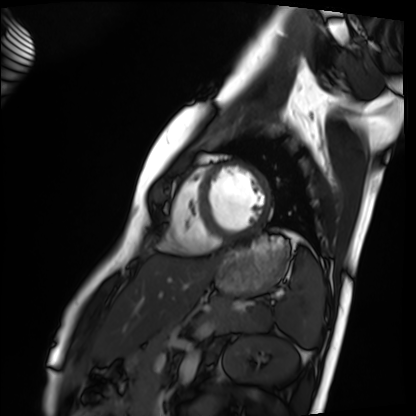
Cardiac MRI. Subject group: healthy volunteer.